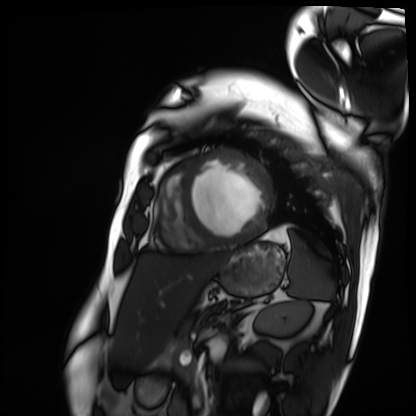
{
  "modality": "cardiac MRI",
  "cohort": "patient"
}